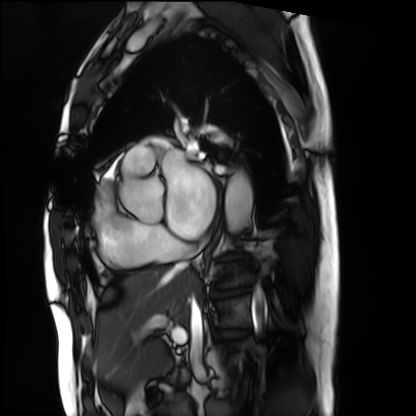
- modality: cardiac MRI
- subject group: patient